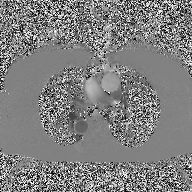
2D phase-contrast cine MRI of the ascending aorta, high-resolution GRAPPA acquisition.